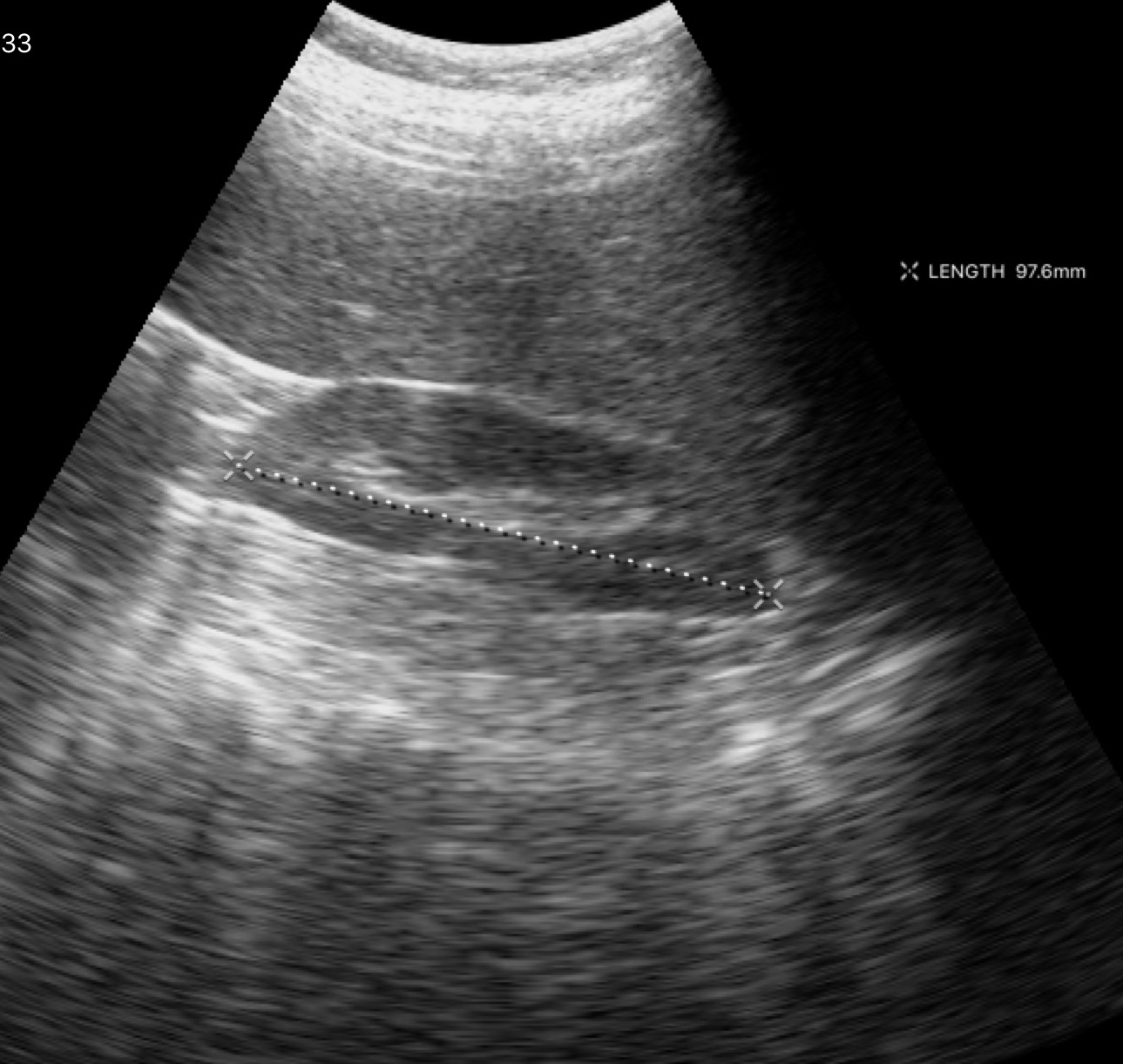
| field | value |
|---|---|
| modality | genitourinary ultrasound |